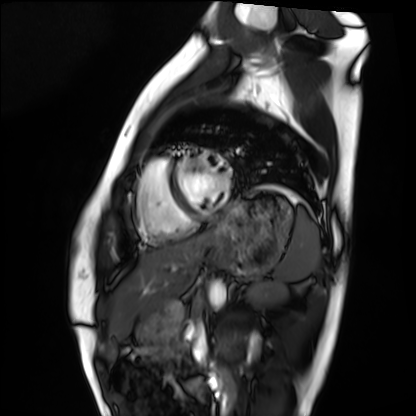
modality: cardiac MRI
subject group: healthy volunteer